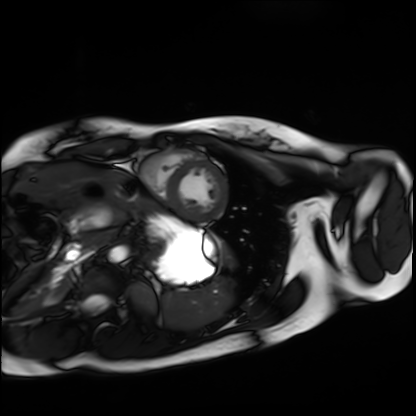
modality — cardiac MRI | subject group — healthy volunteer.